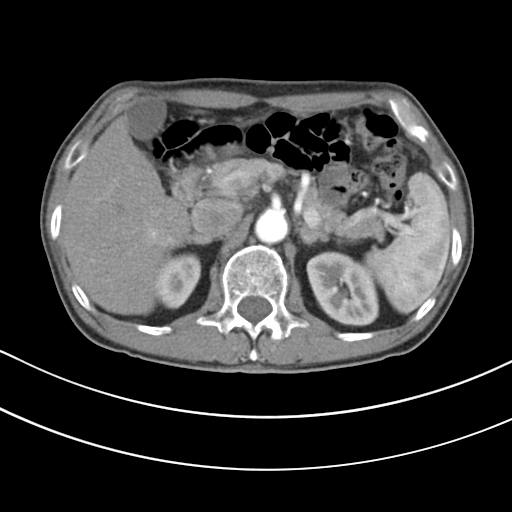
modality = multiphase abdominal CT, liver, arterial phase
patient = male, age 80
history = cirrhosis, viral hepatitis